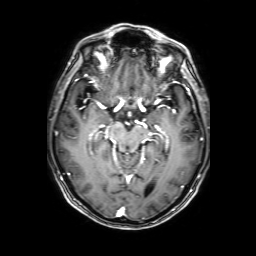
Summary: 3 Tesla brain MRI. Series: 3D T1-weighted with SENSE. Study: ring-enhancing brain masses.